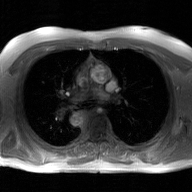
2D phase-contrast cine MRI of the ascending aorta, GAN super-resolution reconstruction.